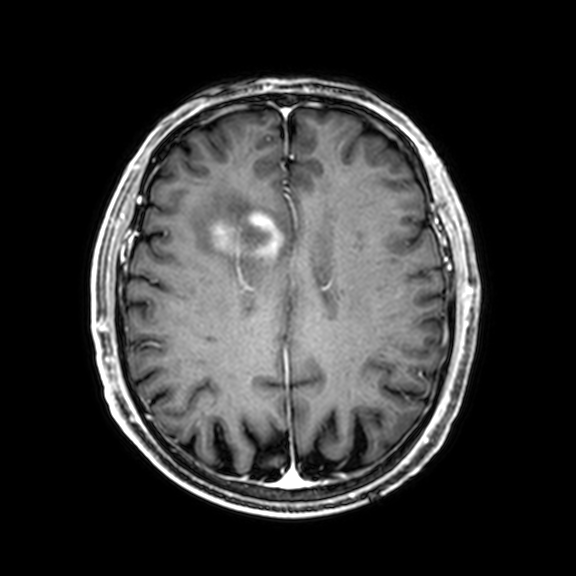
Clinical context: 3 Tesla brain MRI. Series: 3D T1-weighted with CLEAR. Study: ring-enhancing brain masses.